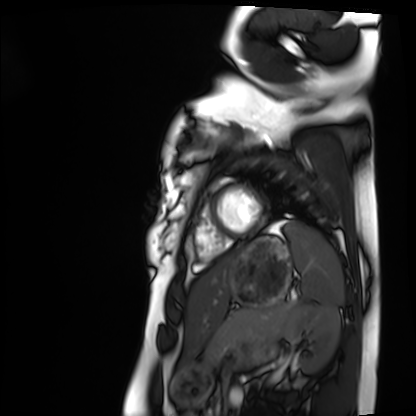
  modality: cardiac MRI
  cohort: healthy volunteer